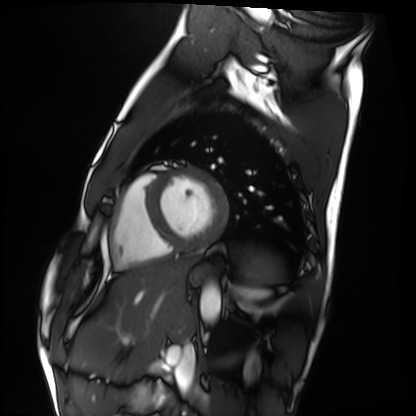
• modality · cardiac MRI
• subject group · healthy volunteer